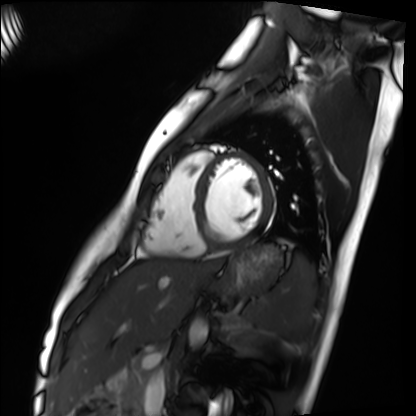
– modality · cardiac MRI
– subject group · healthy volunteer